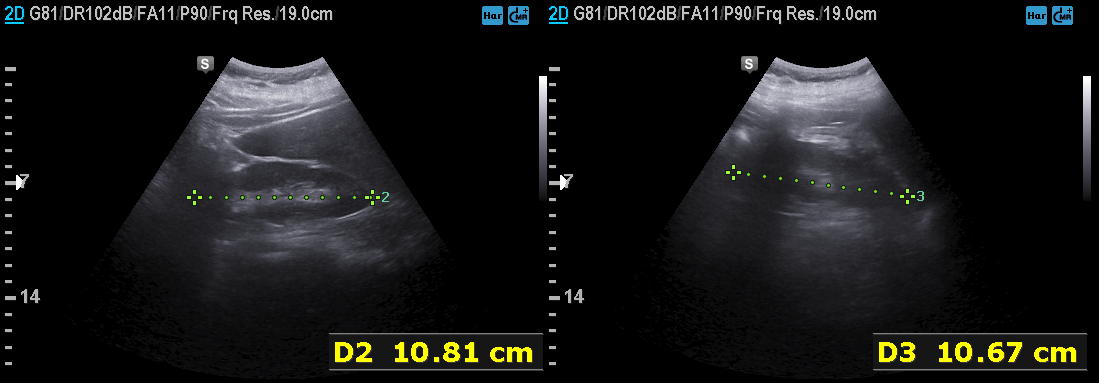
| field | value |
|---|---|
| modality | genitourinary ultrasound |